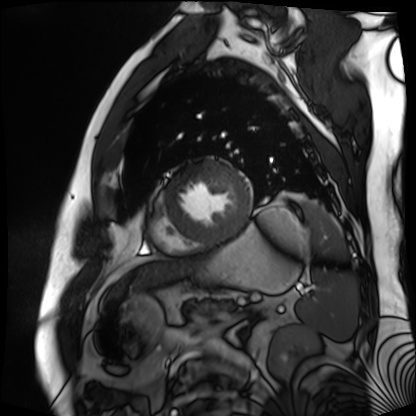
Case summary: Cardiac MR image of the myocardium. Subject cohort: cardiac patient.